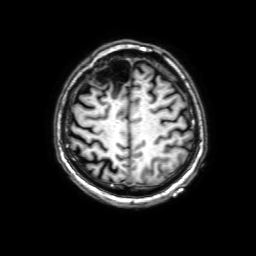
Summary: 3 Tesla brain MRI. Series: 3D T1-weighted with SENSE. Study: ring-enhancing brain masses.